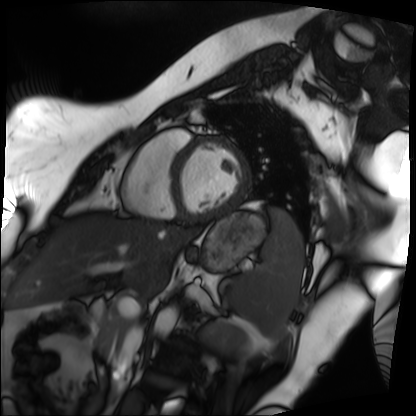
Clinical context:
Cardiac MRI. Subject group: patient.